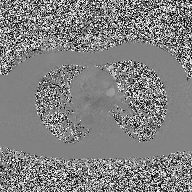
2D phase-contrast cine MRI of the ascending aorta, high-resolution GRAPPA acquisition.